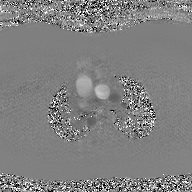
modality: 2D phase-contrast cine MRI of the ascending aorta, GAN super-resolution reconstruction.